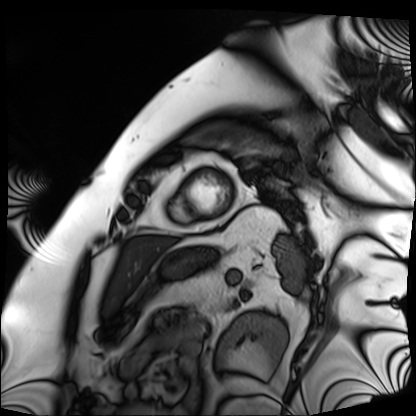
• modality — cardiac MRI
• subject group — patient